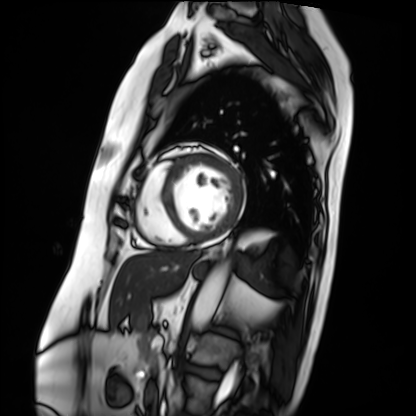
{
  "modality": "cardiac MRI",
  "cohort": "patient"
}